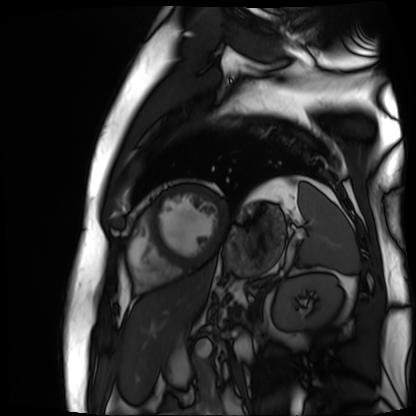
Cardiac MR image of the myocardium.
Subject cohort: cardiac patient.